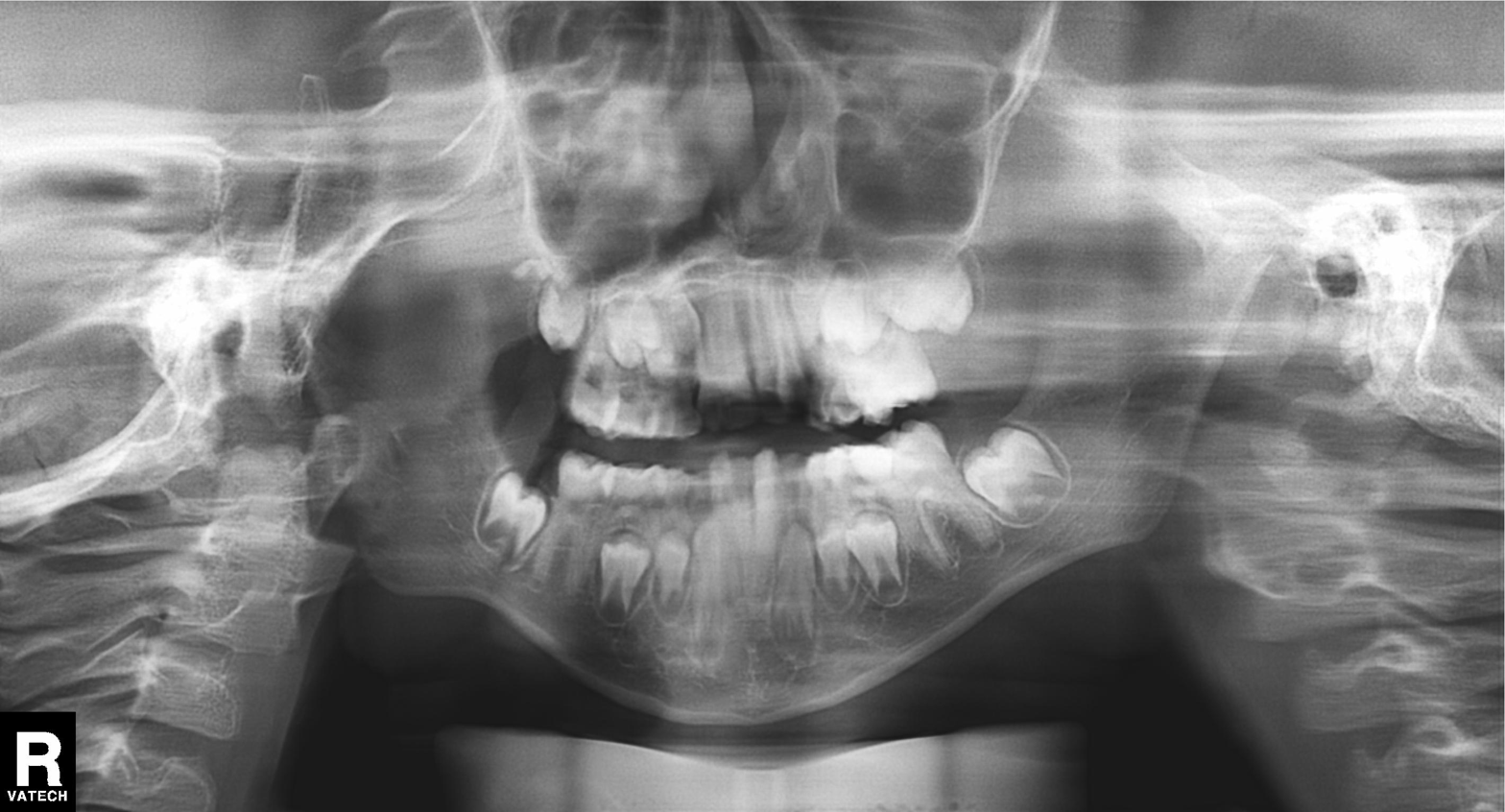
Summary: Panoramic dental radiograph (orthopantomogram).
Impression: Alveolar bone loss.